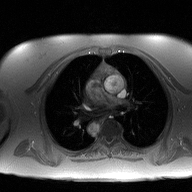
2D phase-contrast cine MRI of the ascending aorta, high-resolution GRAPPA acquisition.